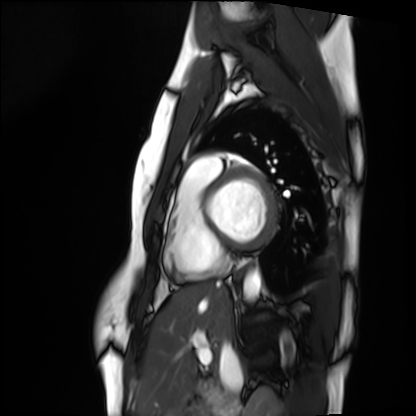
<scan>
  <modality>cardiac MRI</modality>
  <cohort>healthy volunteer</cohort>
</scan>